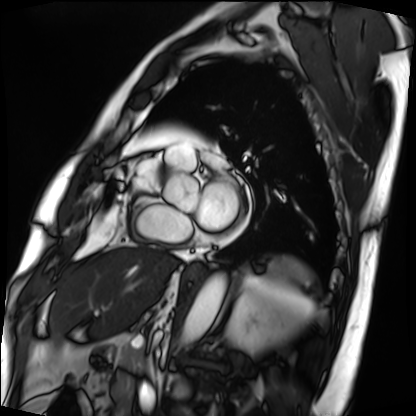
<study>
  <modality>cardiac MRI</modality>
  <cohort>patient</cohort>
</study>